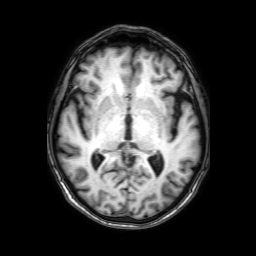
3 Tesla brain MRI. Series: 3D T1-weighted with SENSE. Study: ring-enhancing brain masses.